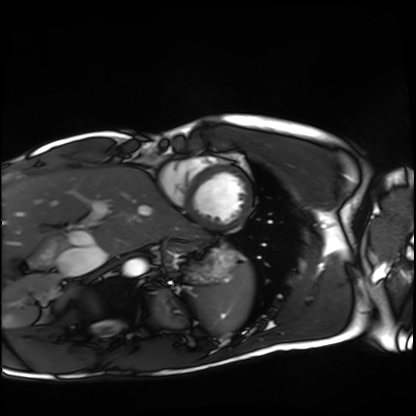
Cardiac MRI. Subject group: healthy volunteer.